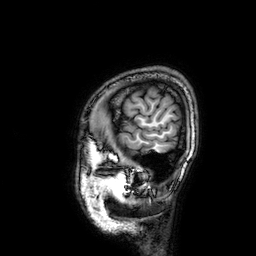
Summary:
3 Tesla brain MRI. Study: ring-enhancing brain masses.